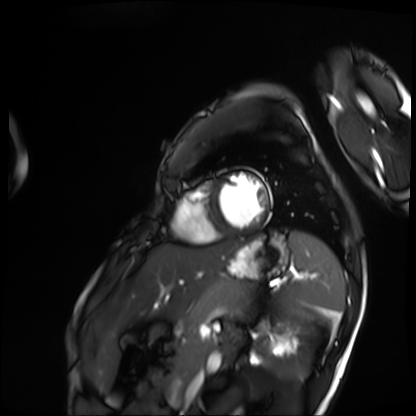
Q: What kind of scan is this?
A: Cardiac MRI.
Subject group: patient.